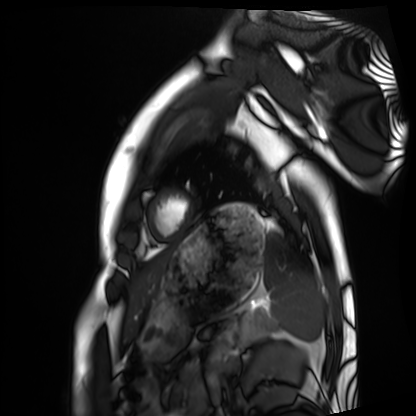
{
  "modality": "cardiac MRI",
  "cohort": "healthy volunteer"
}